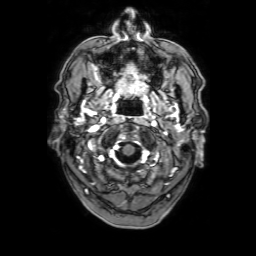
Clinical context:
3 Tesla brain MRI. Series: 3D T1-weighted with SENSE. Study: ring-enhancing brain masses.